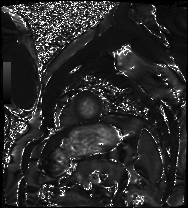
{"modality": "cardiac MRI", "cohort": "patient"}